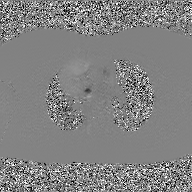
<study>
  <modality>
    <type>2D phase-contrast cine MRI</type>
    <region>ascending aorta</region>
    <reconstruction>GAN super-resolution reconstruction</reconstruction>
  </modality>
</study>